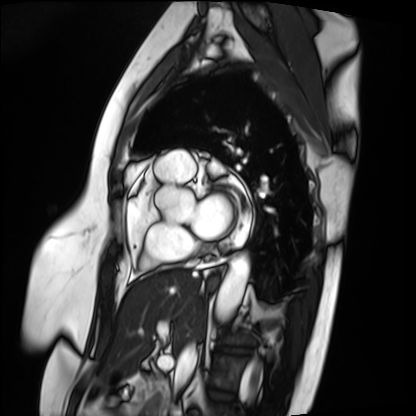
Q: What kind of scan is this?
A: Cardiac MRI.
Subject group: patient.